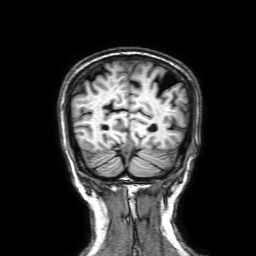
3 Tesla brain MRI.
Series: 3D T1-weighted with SENSE.
Study: ring-enhancing brain masses.